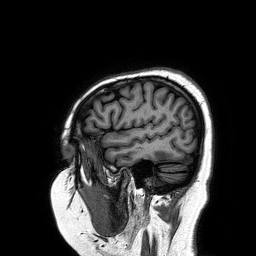
| field | value |
|---|---|
| modality | 3 Tesla brain MRI |
| series | 3D T1-weighted turbo field echo |
| study | ring-enhancing brain masses |